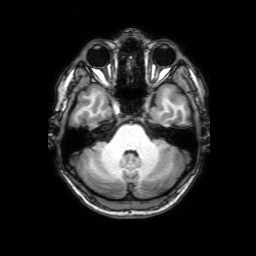
3 Tesla brain MRI. Series: 3D T1-weighted with SENSE. Study: ring-enhancing brain masses.